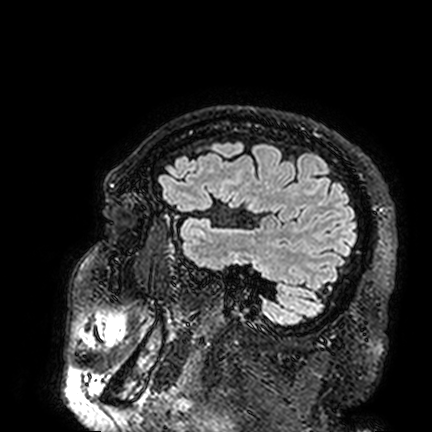
Clinical context: 3 Tesla brain MRI. Series: FLAIR VISTA. Study: ring-enhancing brain masses.